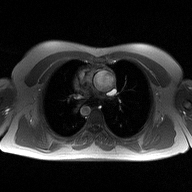
<scan>
<modality>
  <type>2D phase-contrast cine MRI</type>
  <region>ascending aorta</region>
  <reconstruction>high-resolution GRAPPA acquisition</reconstruction>
</modality>
</scan>